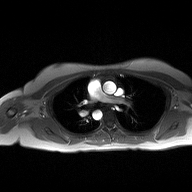
<study>
<modality>
  <type>2D phase-contrast cine MRI</type>
  <region>ascending aorta</region>
  <reconstruction>high-resolution GRAPPA acquisition</reconstruction>
</modality>
</study>